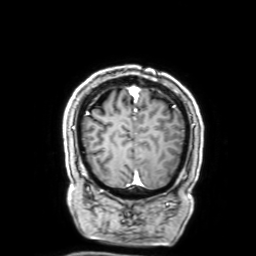
Summary:
3 Tesla brain MRI. Series: 3D T1-weighted with SENSE. Study: ring-enhancing brain masses.